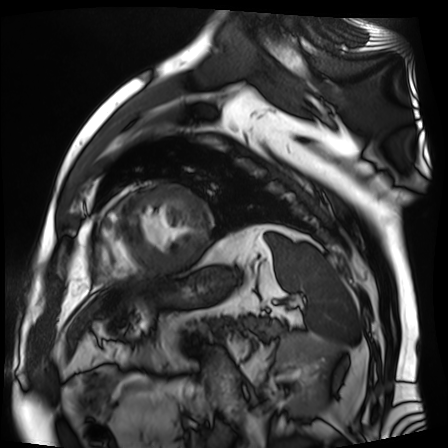
modality: cardiac MR image of the myocardium | subject cohort: cardiac patient.